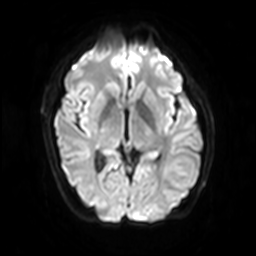
Q: What kind of scan is this?
A: 3 Tesla brain MRI.
Q: Series?
A: Diffusion-weighted imaging with SENSE (WIP).
Study: ring-enhancing brain masses.